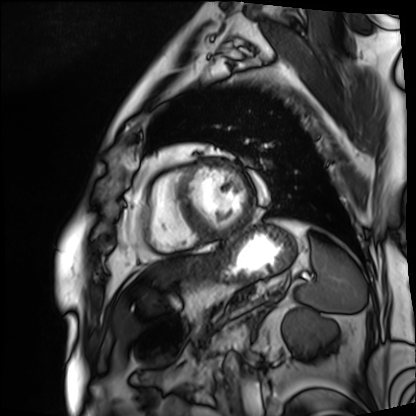
modality: cardiac MRI | subject group: patient.